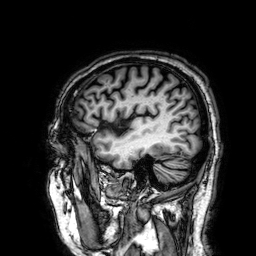
modality: 3 Tesla brain MRI | series: 3D T1-weighted | study: ring-enhancing brain masses.